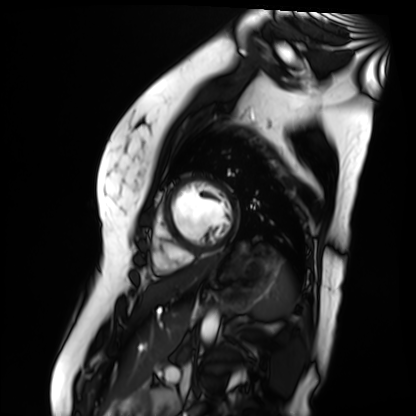
modality=cardiac MR image of the myocardium | subject cohort=healthy volunteer.